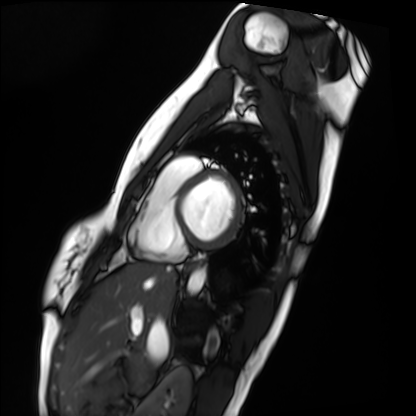
Cardiac MRI.
Subject group: healthy volunteer.